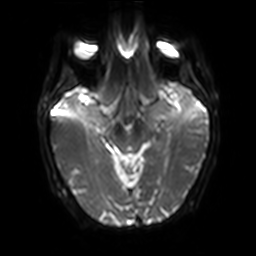
Case:
* modality · 3 Tesla brain MRI
* series · diffusion-weighted imaging with SENSE (WIP)
* study · ring-enhancing brain masses